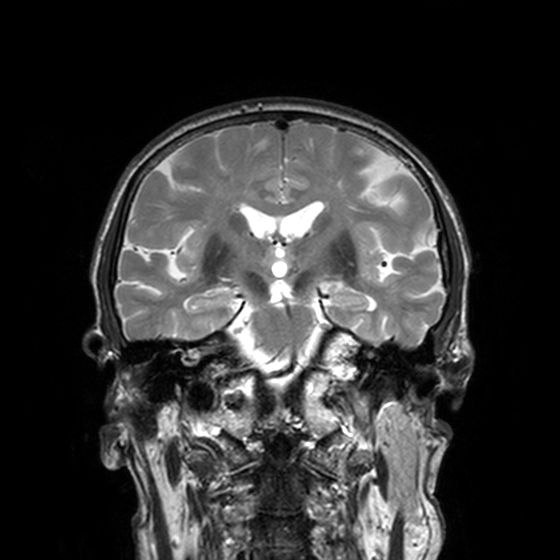
Q: What kind of scan is this?
A: 3 Tesla brain MRI.
Q: Series?
A: T2-weighted turbo spin echo, 3 mm.
Study: ring-enhancing brain masses.